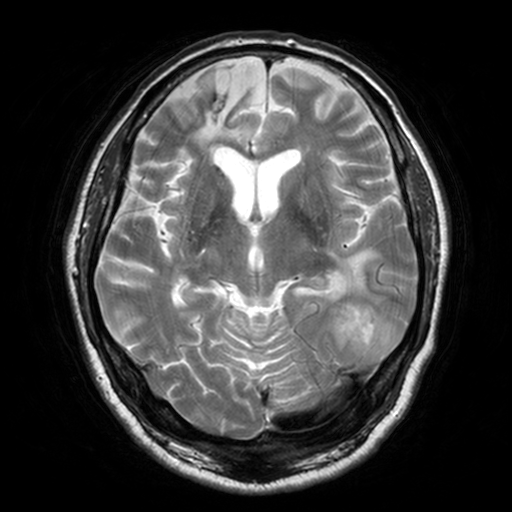
3 Tesla brain MRI. Series: T2-weighted turbo spin echo, 3 mm. Study: ring-enhancing brain masses.